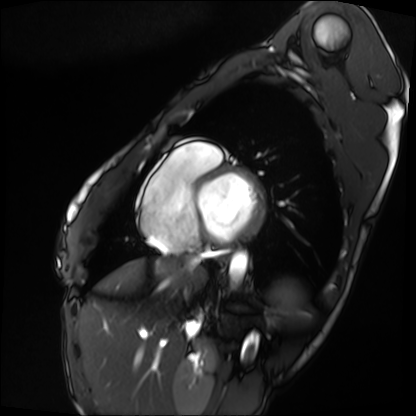
{
  "modality": "cardiac MRI",
  "cohort": "patient"
}